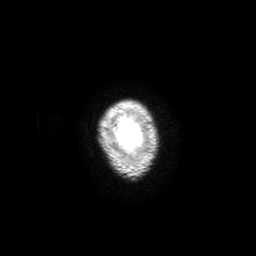
modality: 3 Tesla brain MRI; series: 3D T1-weighted with SENSE; study: ring-enhancing brain masses.